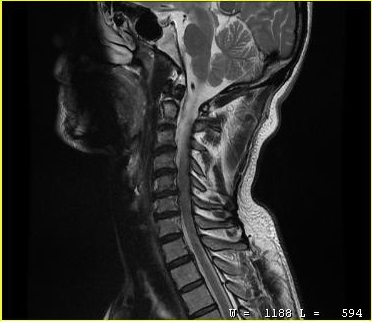
modality = MRI of the cervical spine; study = cervical spondylosis.